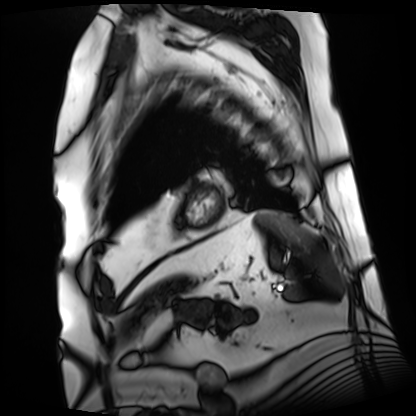
Summary: Cardiac MRI. Subject group: patient.